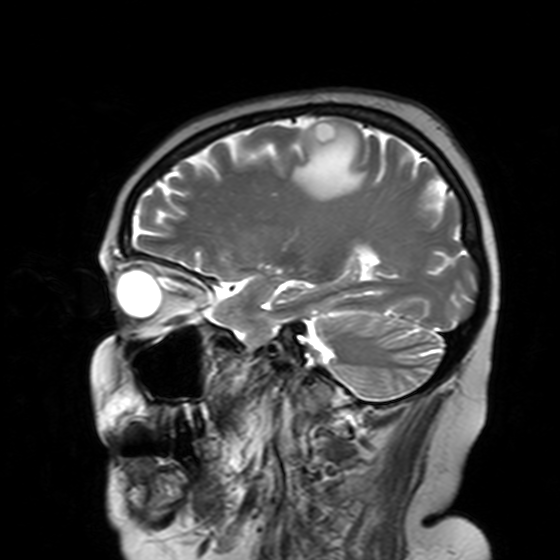
{
  "modality": {
    "type": "brain MRI",
    "field_strength": "3T"
  },
  "series": "T2-weighted turbo spin echo with SENSE",
  "study_topic": "ring-enhancing brain masses"
}